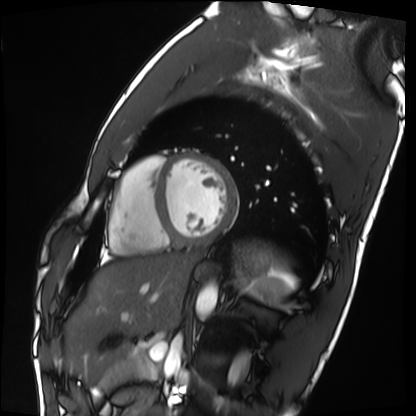
Q: What kind of scan is this?
A: Cardiac MRI.
Subject group: healthy volunteer.